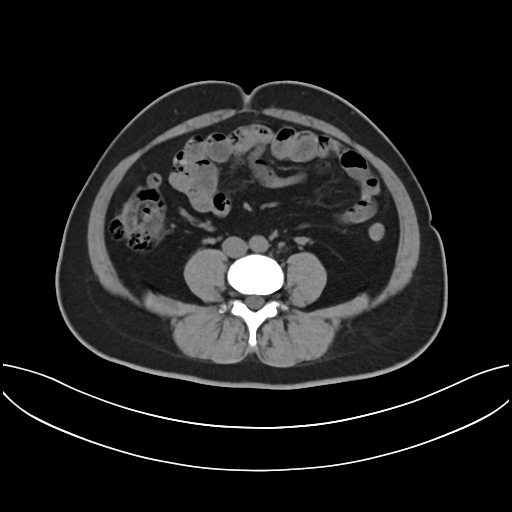
Multiphase abdominal CT, liver, non-contrast phase. Patient: female, age 43.